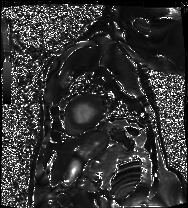
Case:
– modality · cardiac MRI
– subject group · patient